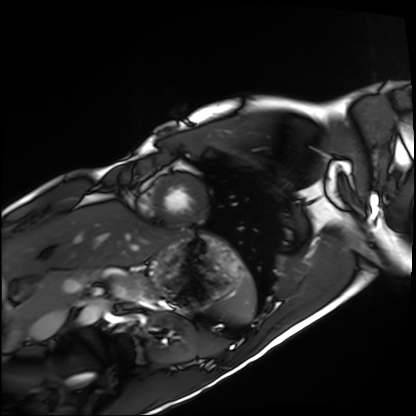
Cardiac MRI. Subject group: healthy volunteer.